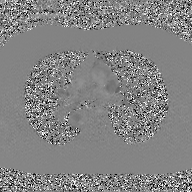
Clinical context:
2D phase-contrast cine MRI of the ascending aorta, GAN super-resolution reconstruction.